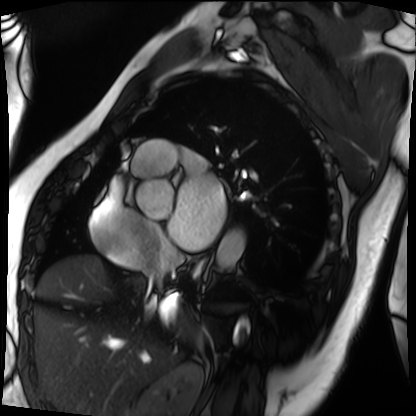
Summary:
Cardiac MRI. Subject group: patient.